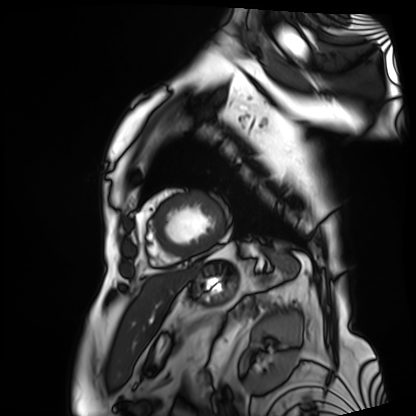
modality: cardiac MRI | subject group: patient.